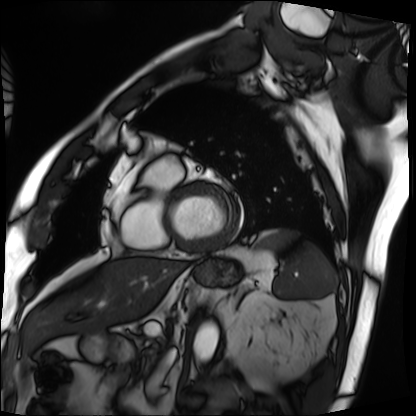
modality = cardiac MRI, subject group = patient.